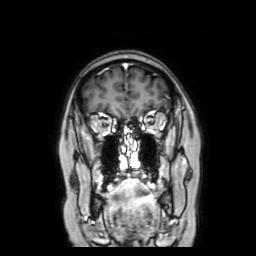
3 Tesla brain MRI.
Study: ring-enhancing brain masses.